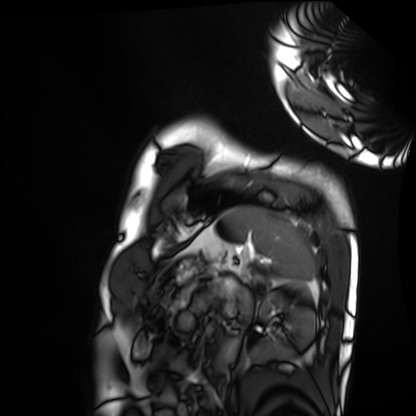
modality — cardiac MRI; subject group — healthy volunteer.